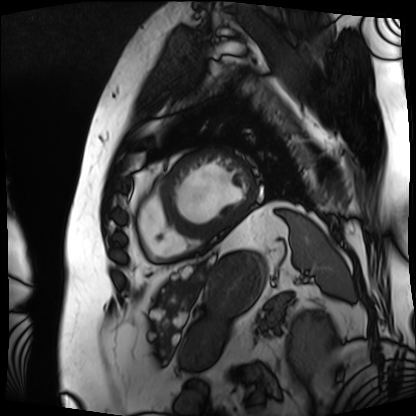
Summary:
Cardiac MRI. Subject group: patient.